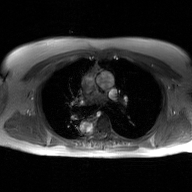
2D phase-contrast cine MRI of the ascending aorta, GAN super-resolution reconstruction.